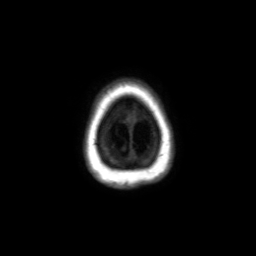
Q: What kind of scan is this?
A: 3 Tesla brain MRI.
Q: Series?
A: Axial without contrast.
Study: ring-enhancing brain masses.